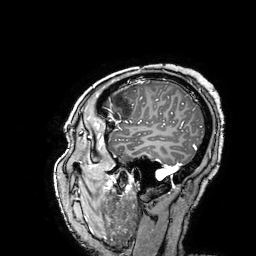
3 Tesla brain MRI.
Series: 3D T1-weighted turbo field echo with SENSE.
Study: ring-enhancing brain masses.